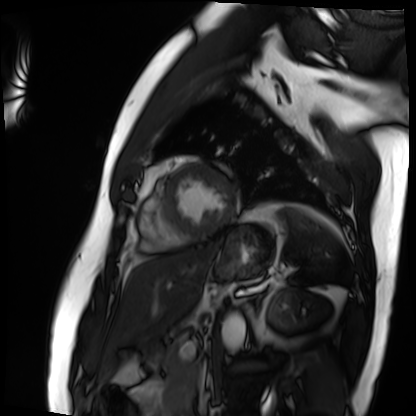
Case summary:
Cardiac MRI. Subject group: patient.